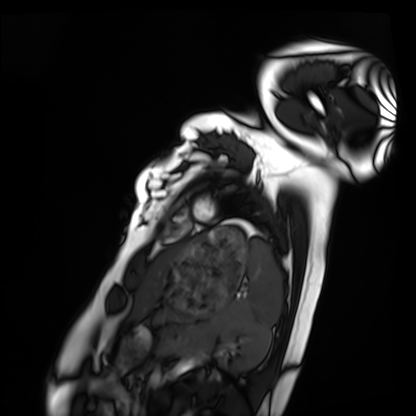
Cardiac MRI.
Subject group: healthy volunteer.